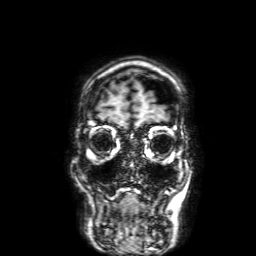
Case summary:
3 Tesla brain MRI. Series: 3D T1-weighted with SENSE. Study: ring-enhancing brain masses.